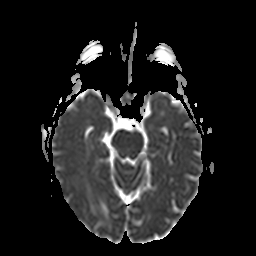
Summary:
3 Tesla brain MRI. Series: apparent diffusion coefficient (ADC) map. Study: ring-enhancing brain masses.